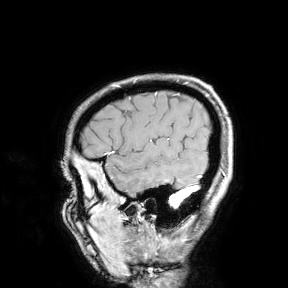
Summary:
3 Tesla brain MRI. Study: ring-enhancing brain masses.